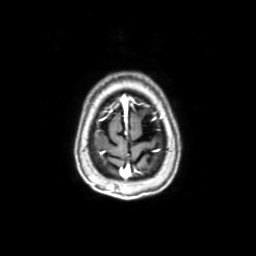
3 Tesla brain MRI. Series: axial with contrast. Study: ring-enhancing brain masses.